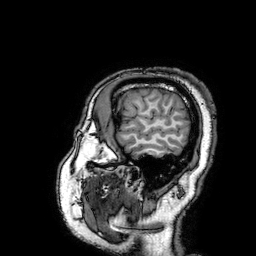
| field | value |
|---|---|
| modality | 3 Tesla brain MRI |
| series | 3D T1-weighted turbo field echo with SENSE |
| study | ring-enhancing brain masses |